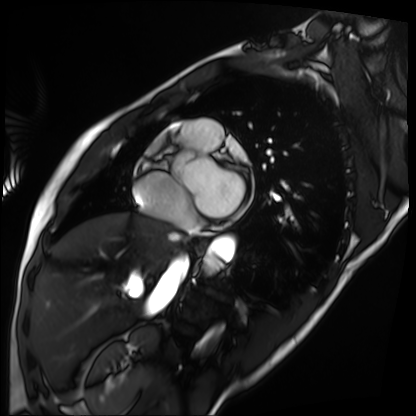
{"modality": "cardiac MRI", "cohort": "patient"}